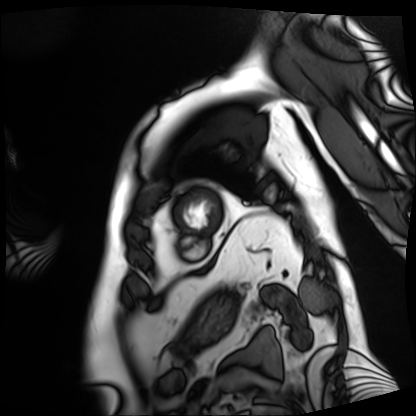
Case summary:
Cardiac MRI. Subject group: patient.